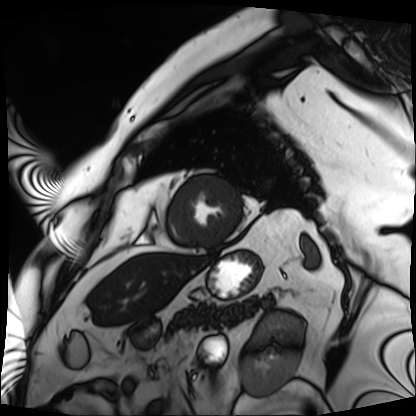
{
  "modality": "cardiac MRI",
  "cohort": "patient"
}